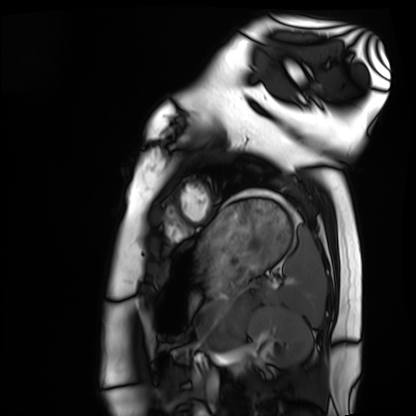
modality: cardiac MRI | subject group: healthy volunteer.